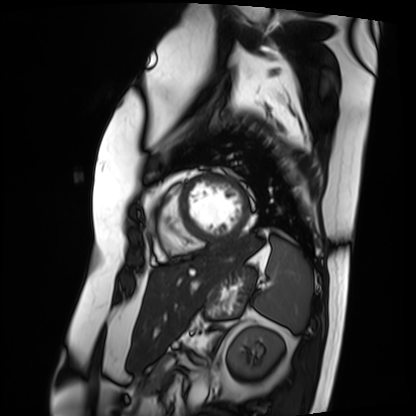
Q: What kind of scan is this?
A: Cardiac MRI.
Subject group: patient.